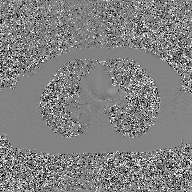
Summary:
2D phase-contrast cine MRI of the ascending aorta, GAN super-resolution reconstruction.